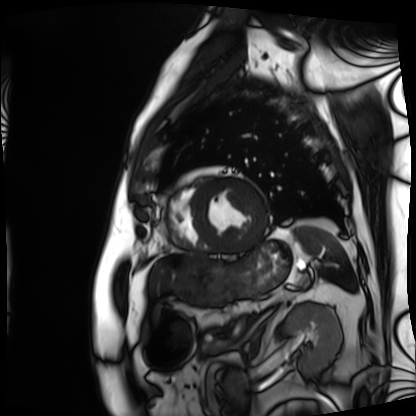
modality=cardiac MRI; subject group=patient.